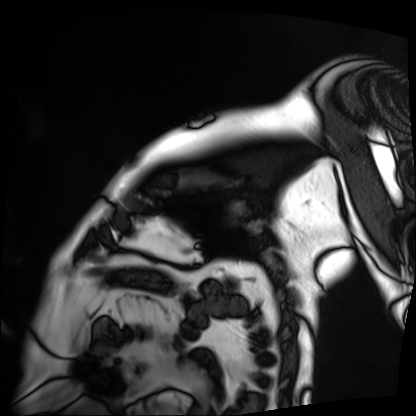
Cardiac MRI. Subject group: patient.